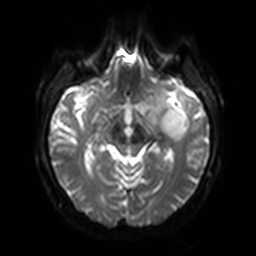
Summary:
3 Tesla brain MRI. Series: diffusion-weighted imaging with SENSE (WIP). Study: ring-enhancing brain masses.